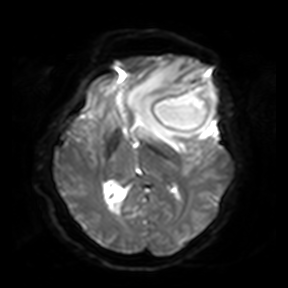
3 Tesla brain MRI. Series: diffusion-weighted imaging. Study: ring-enhancing brain masses.